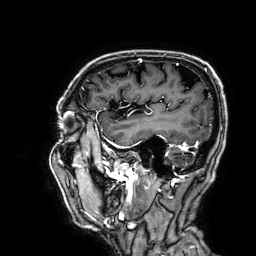
Q: What kind of scan is this?
A: 3 Tesla brain MRI.
Q: Series?
A: 3D T1-weighted.
Study: ring-enhancing brain masses.